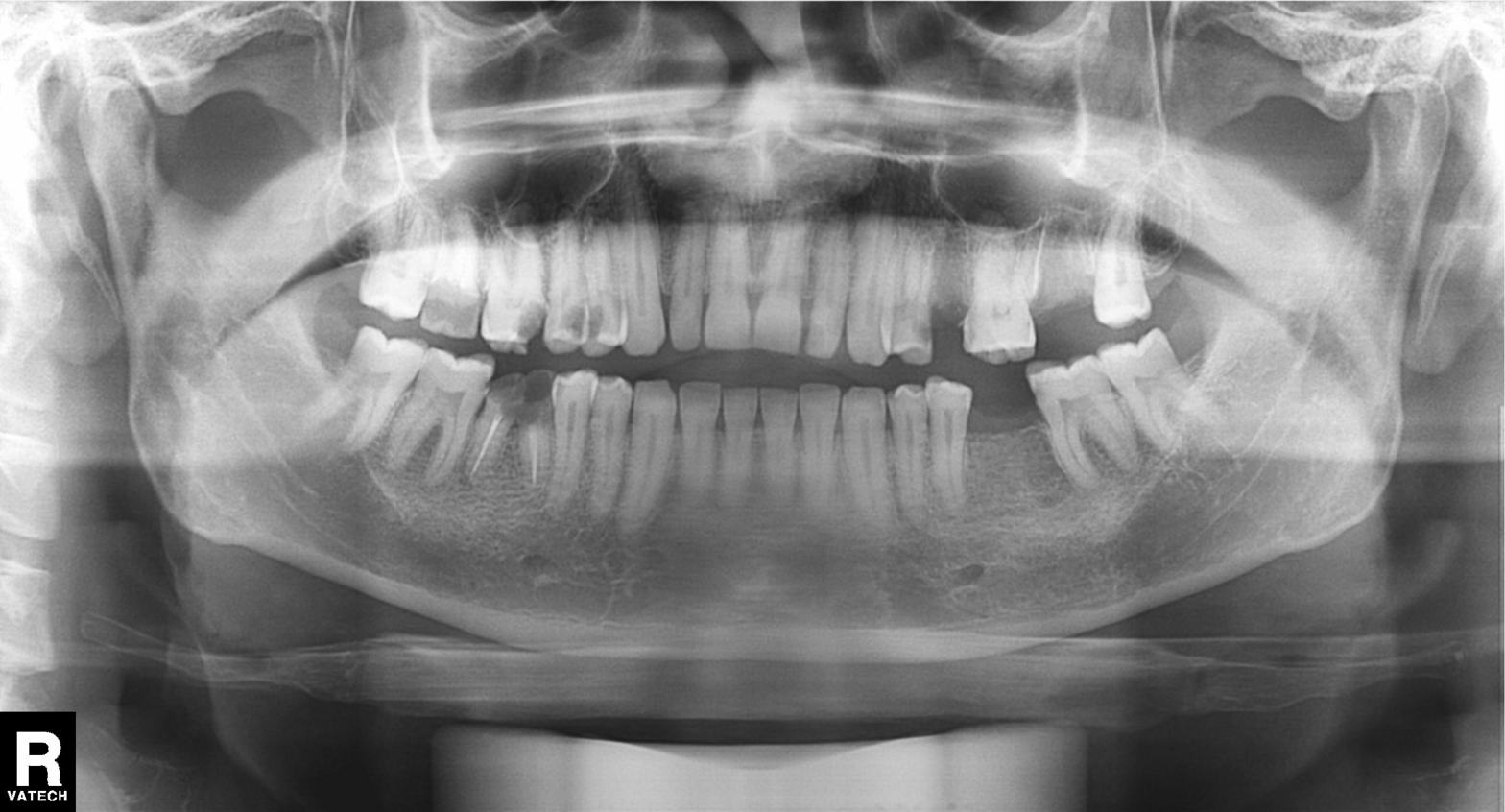
modality: panoramic dental radiograph (orthopantomogram)
finding: tooth impaction